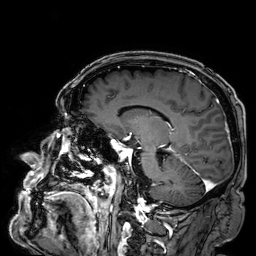
3 Tesla brain MRI.
Series: 3D T1-weighted.
Study: ring-enhancing brain masses.